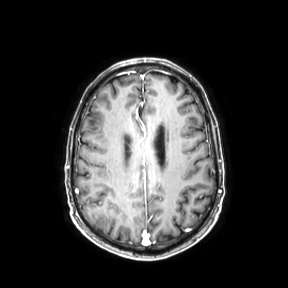
Q: What kind of scan is this?
A: 3 Tesla brain MRI.
Q: Series?
A: Axial.
Study: ring-enhancing brain masses.